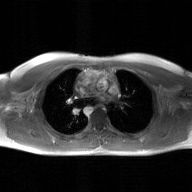
2D phase-contrast cine MRI of the ascending aorta, GAN super-resolution reconstruction.